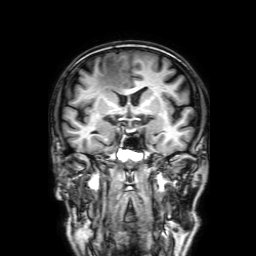
* modality — 3 Tesla brain MRI
* series — 3D T1-weighted with SENSE
* study — ring-enhancing brain masses